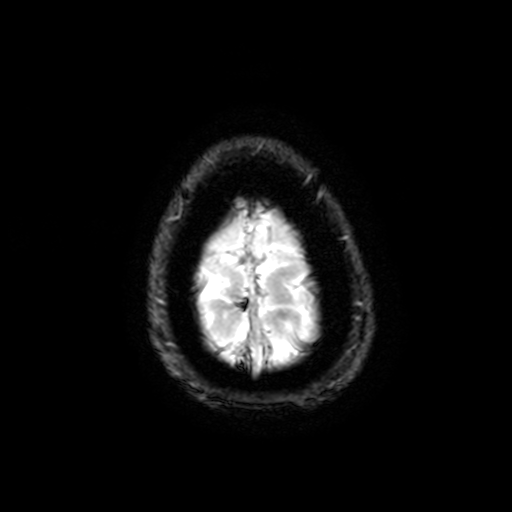
Summary:
3 Tesla brain MRI. Series: T2-weighted fast field echo with SENSE. Study: ring-enhancing brain masses.